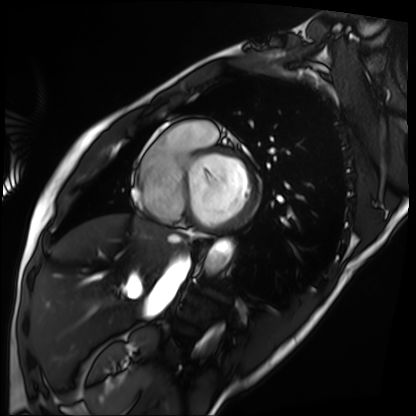
modality = cardiac MRI, subject group = patient.